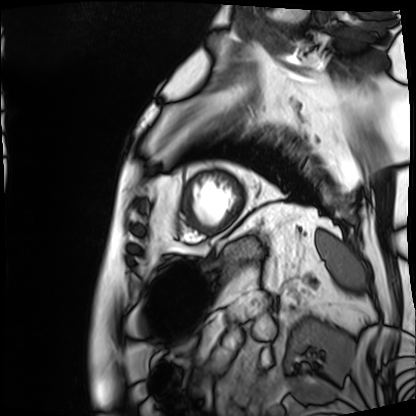
Q: What kind of scan is this?
A: Cardiac MRI.
Subject group: patient.